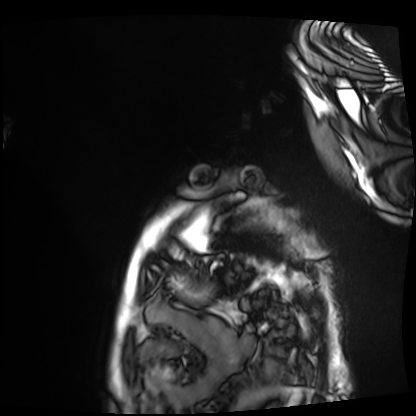
Case summary:
Cardiac MRI. Subject group: patient.